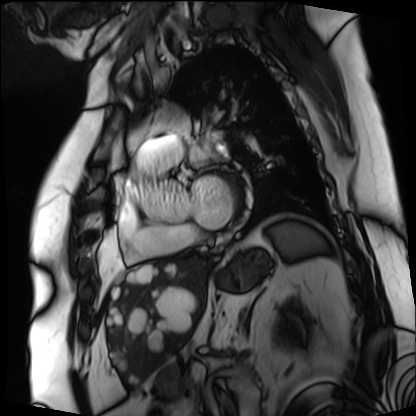
Cardiac MRI.
Subject group: patient.